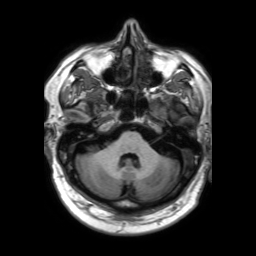
Q: What kind of scan is this?
A: 3 Tesla brain MRI.
Q: Series?
A: 3D T1-weighted TFE with SENSE.
Study: ring-enhancing brain masses.